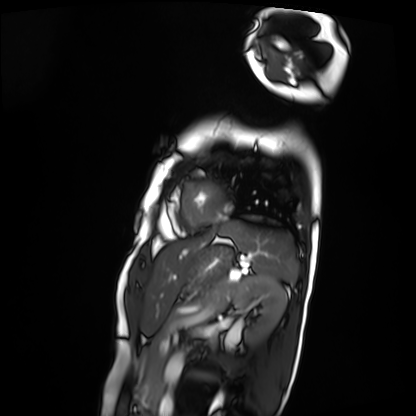
• modality — cardiac MRI
• subject group — patient